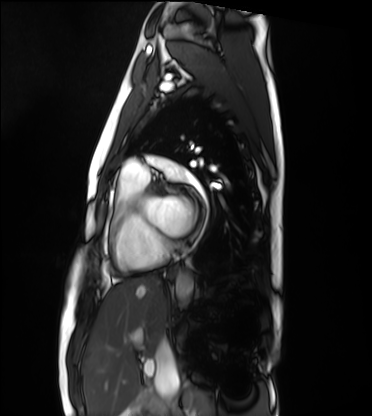
Summary:
Cardiac MRI. Subject group: healthy volunteer.